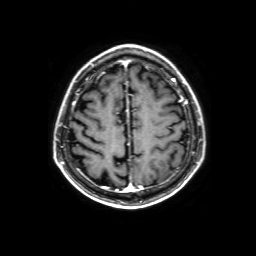
modality — 3 Tesla brain MRI
series — 3D T1-weighted with SENSE
study — ring-enhancing brain masses